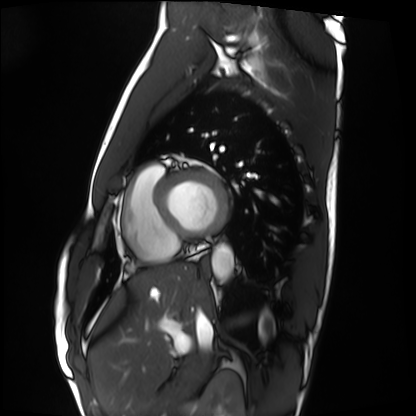
Clinical context:
Cardiac MRI. Subject group: healthy volunteer.